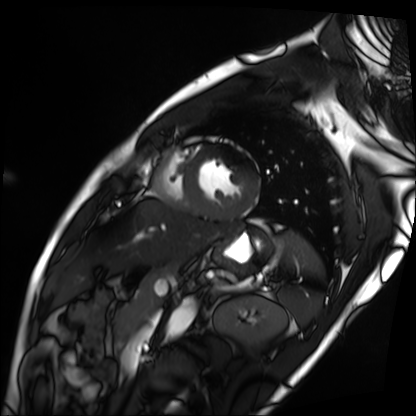
Cardiac MRI.
Subject group: patient.